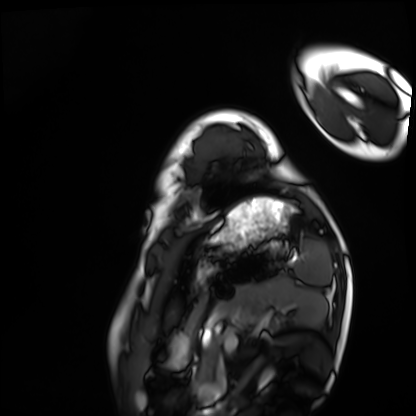
Cardiac MRI. Subject group: healthy volunteer.